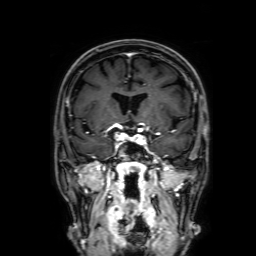
3 Tesla brain MRI.
Series: 3D T1-weighted with SENSE.
Study: ring-enhancing brain masses.